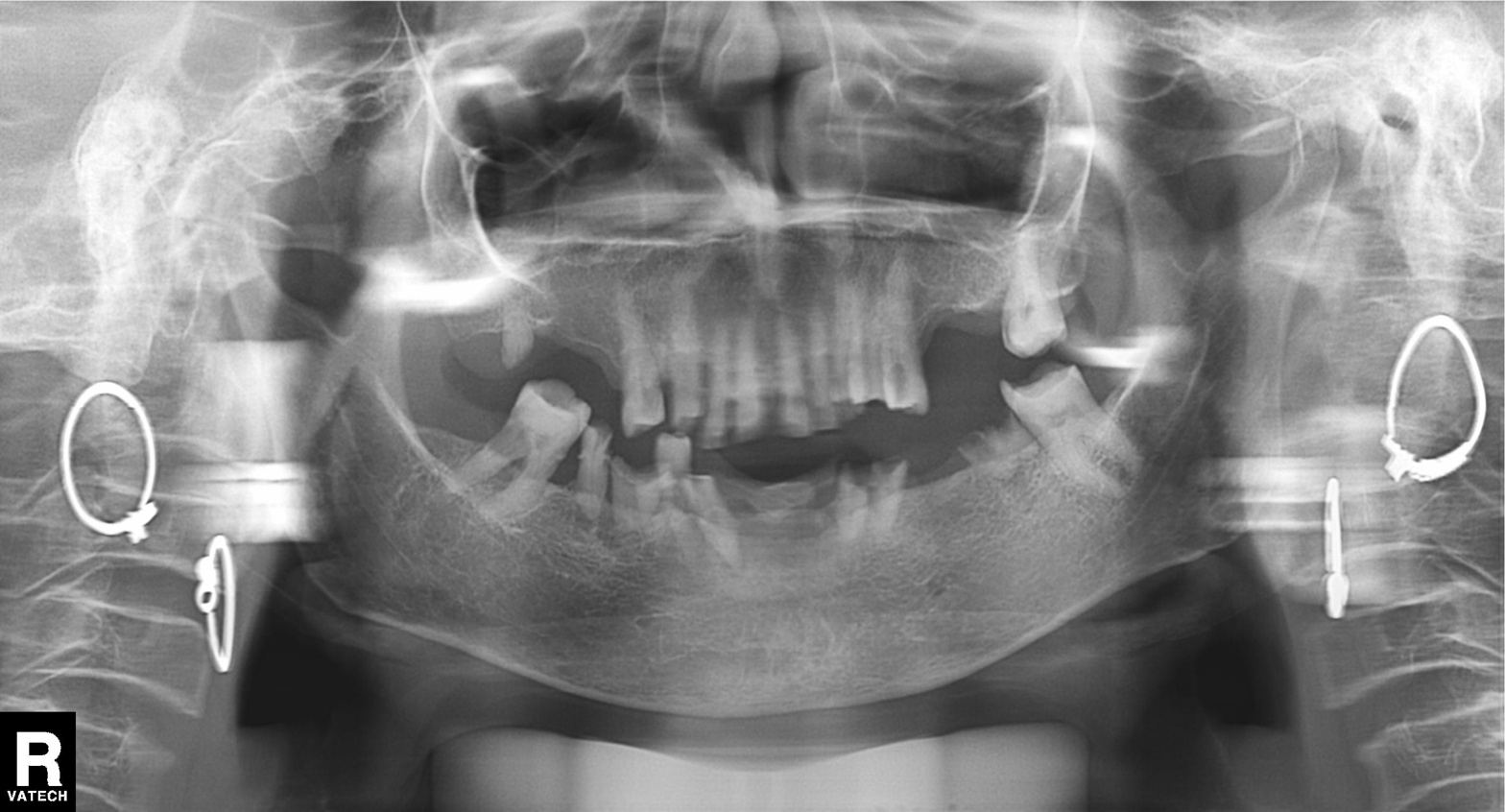
Panoramic dental radiograph (orthopantomogram). Finding: tooth impaction.